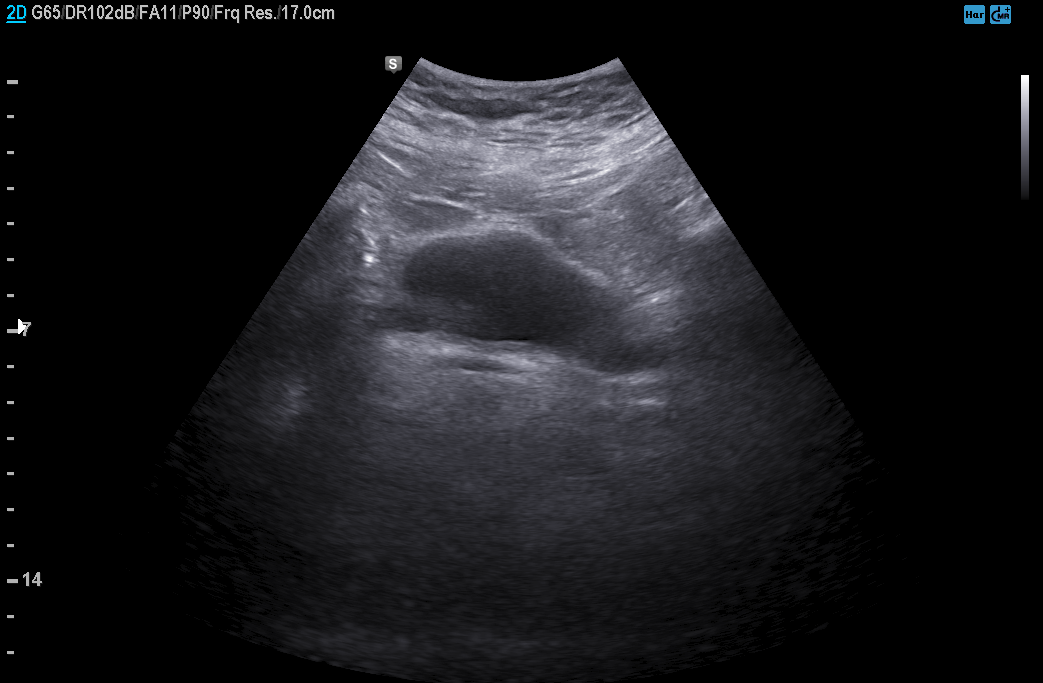
Genitourinary ultrasound.